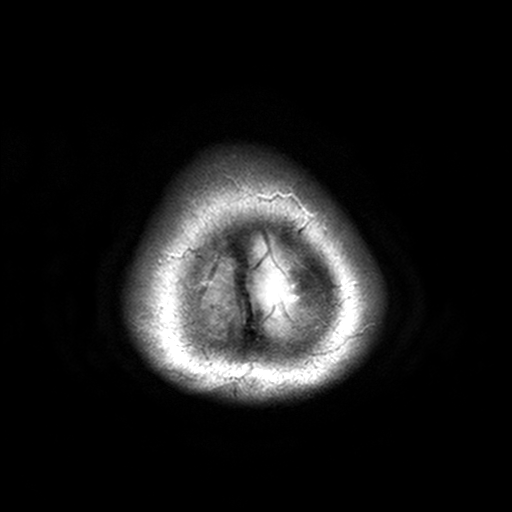
Case summary: 3 Tesla brain MRI. Series: T2-weighted turbo spin echo, 3 mm. Study: ring-enhancing brain masses.